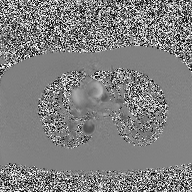
2D phase-contrast cine MRI of the ascending aorta, high-resolution GRAPPA acquisition.